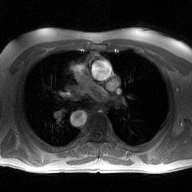
Case summary:
2D phase-contrast cine MRI of the ascending aorta, high-resolution GRAPPA acquisition.